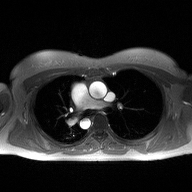
Q: What kind of scan is this?
A: 2D phase-contrast cine MRI of the ascending aorta.